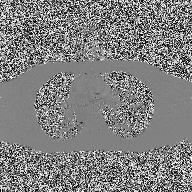
<record>
<modality>
  <type>2D phase-contrast cine MRI</type>
  <region>ascending aorta</region>
  <reconstruction>high-resolution GRAPPA acquisition</reconstruction>
</modality>
</record>